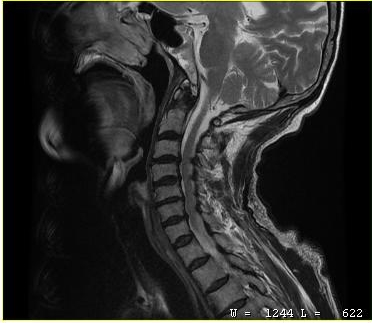
MRI of the cervical spine. Study: cervical spondylosis.